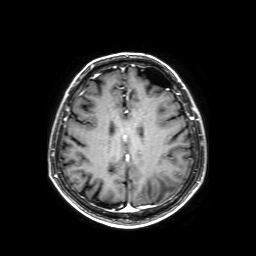
<scan>
  <modality>
    <type>brain MRI</type>
    <field_strength>3T</field_strength>
  </modality>
  <series>axial T1-weighted fusion image</series>
  <study_topic>ring-enhancing brain masses</study_topic>
</scan>